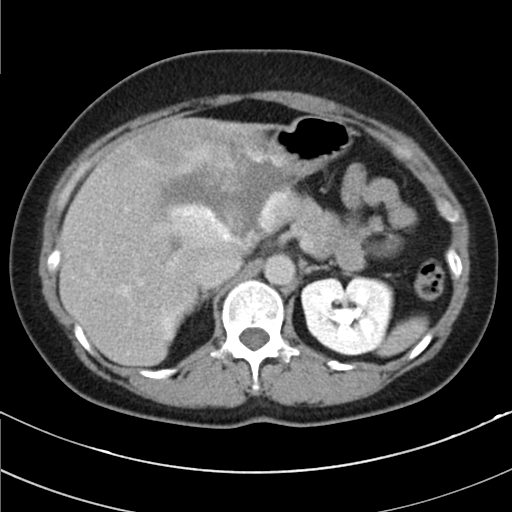
modality = multiphase abdominal CT, liver, delayed phase
patient = female, age 49